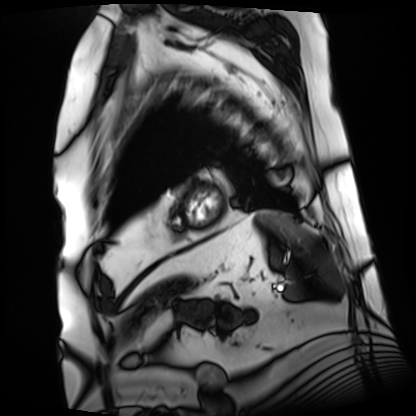
Cardiac MRI. Subject group: patient.